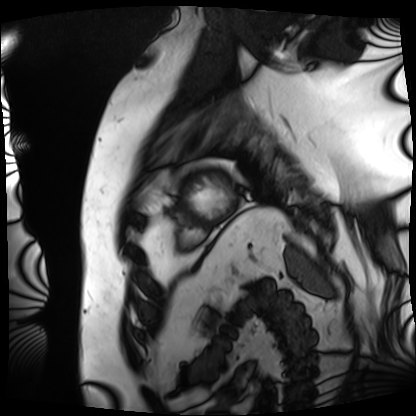
Cardiac MRI. Subject group: patient.